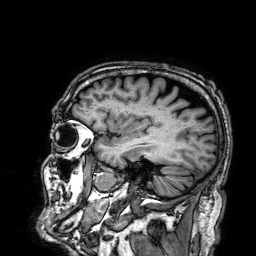
Q: What kind of scan is this?
A: 3 Tesla brain MRI.
Q: Series?
A: 3D T1-weighted.
Study: ring-enhancing brain masses.